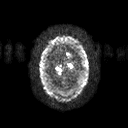
Clinical context:
3 Tesla brain MRI. Series: diffusion tensor imaging (medium iso). Study: ring-enhancing brain masses.